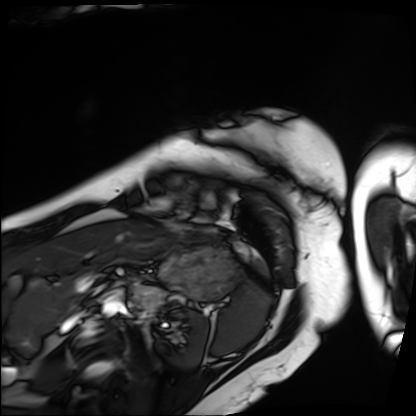
modality = cardiac MRI; subject group = patient.